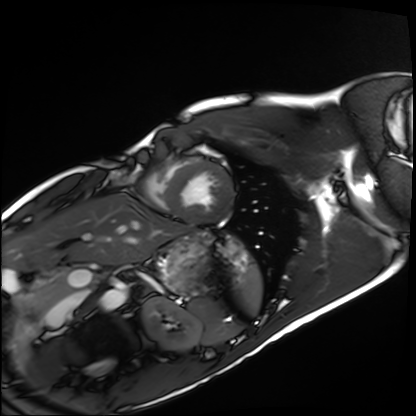
modality: cardiac MRI | subject group: healthy volunteer.